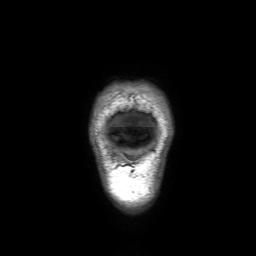
Case summary:
3 Tesla brain MRI. Series: 3D T1-weighted with SENSE. Study: ring-enhancing brain masses.